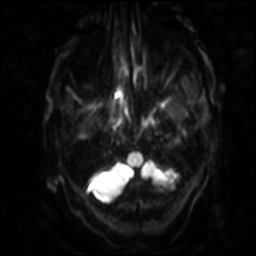
3 Tesla brain MRI.
Series: diffusion-weighted imaging with SENSE (WIP).
Study: ring-enhancing brain masses.